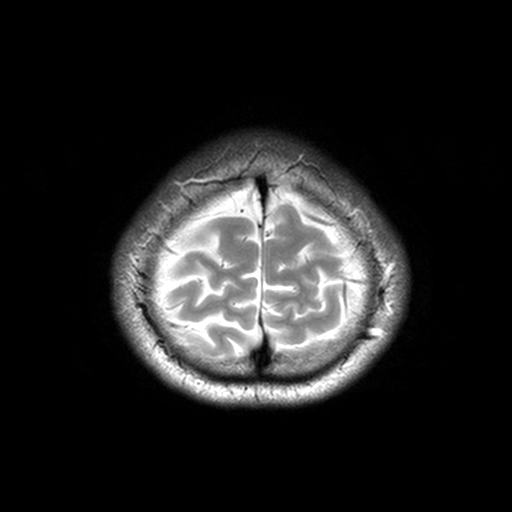
Summary: 3 Tesla brain MRI. Series: T2-weighted turbo spin echo, 3 mm. Study: ring-enhancing brain masses.